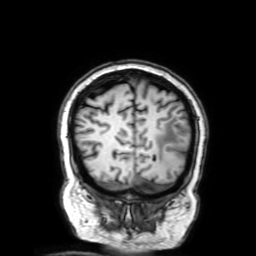
modality = 3 Tesla brain MRI; series = 3D T1-weighted with SENSE; study = ring-enhancing brain masses.